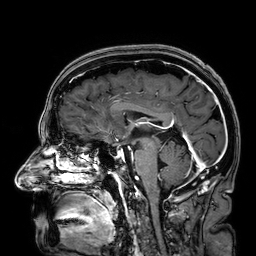
modality = 3 Tesla brain MRI; series = 3D T1-weighted; study = ring-enhancing brain masses.